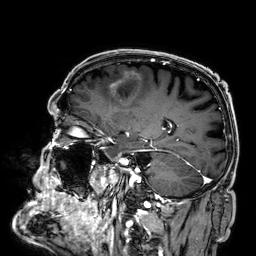
Summary: 3 Tesla brain MRI. Series: 3D T1-weighted. Study: ring-enhancing brain masses.